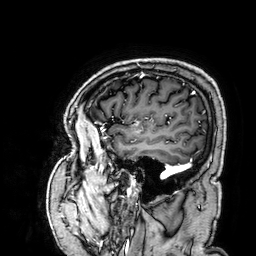
3 Tesla brain MRI. Series: 3D T1-weighted. Study: ring-enhancing brain masses.